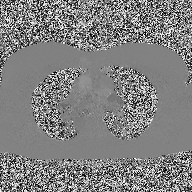
Q: What kind of scan is this?
A: 2D phase-contrast cine MRI of the ascending aorta.